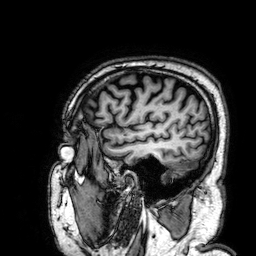
modality = 3 Tesla brain MRI | series = 3D T1-weighted | study = ring-enhancing brain masses.